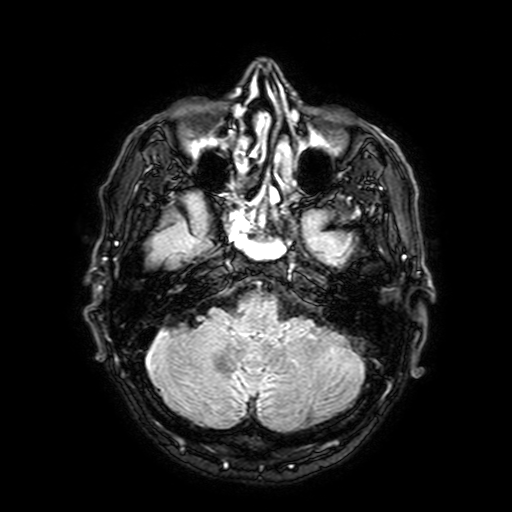
Q: What kind of scan is this?
A: 3 Tesla brain MRI.
Q: Series?
A: FLAIR with SPAIR, 3 mm.
Study: ring-enhancing brain masses.